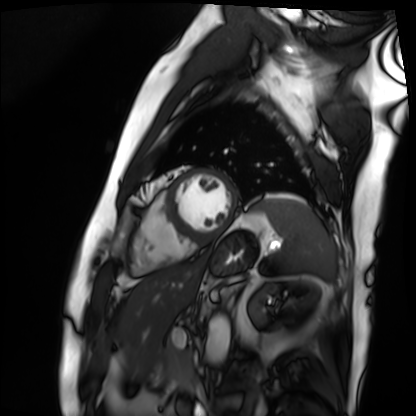
Summary:
Cardiac MRI. Subject group: patient.